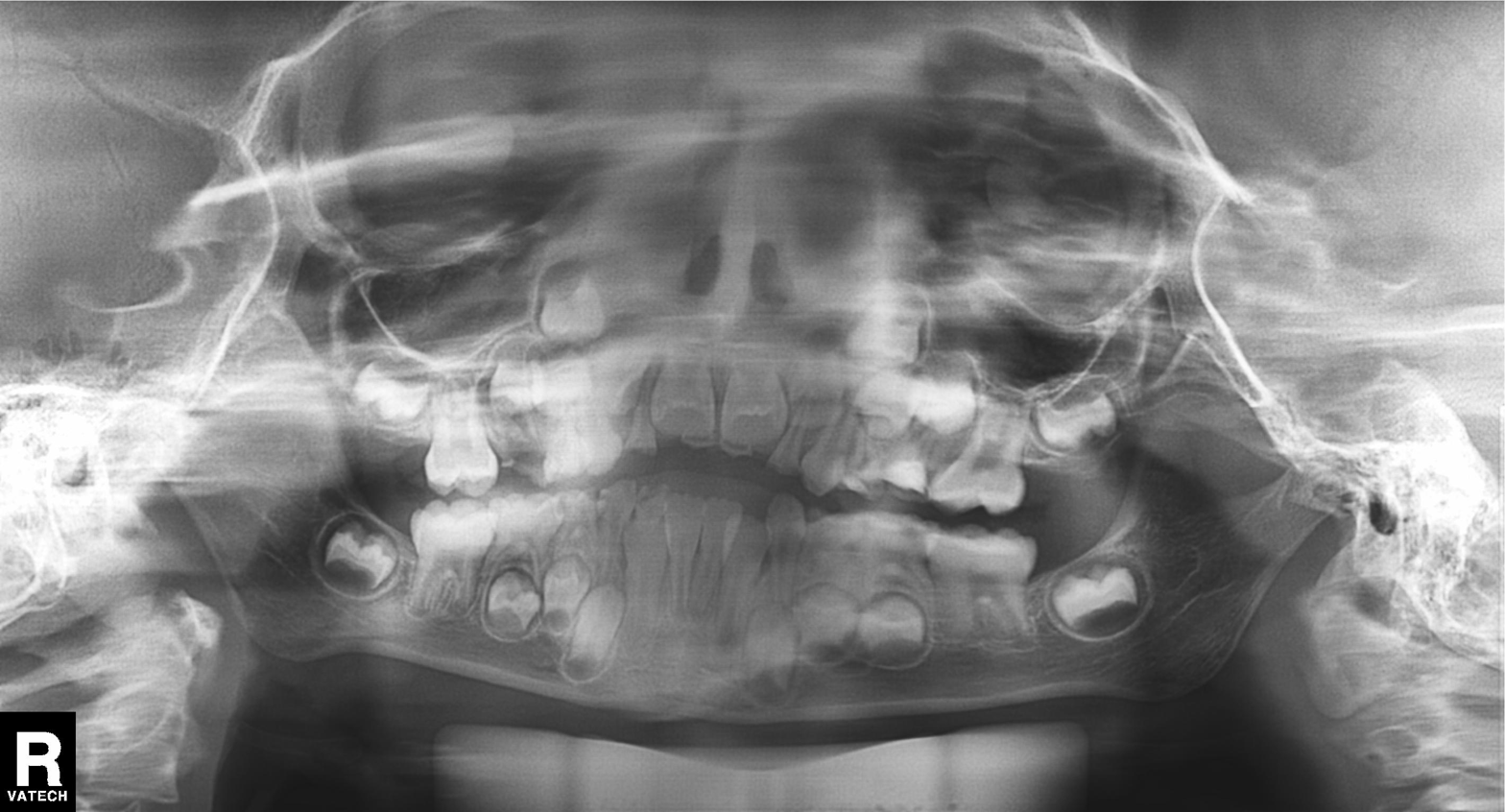
Panoramic dental radiograph (orthopantomogram). Finding: tooth impaction.